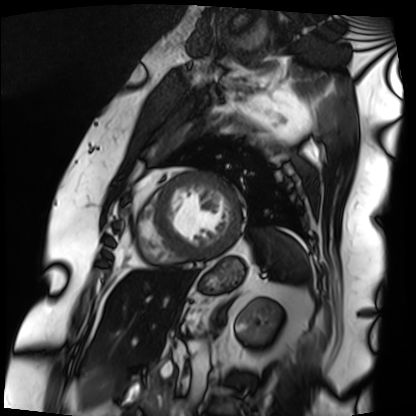
Cardiac MRI.
Subject group: patient.